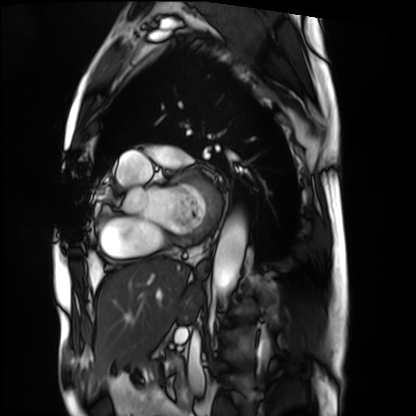
Summary: Cardiac MRI. Subject group: patient.